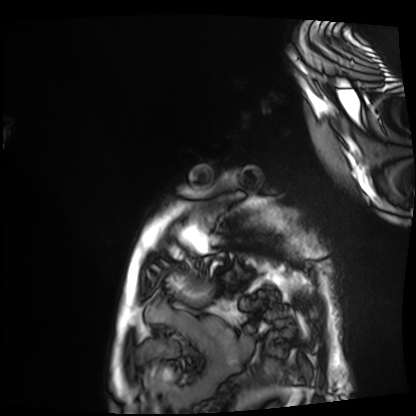
modality: cardiac MRI | subject group: patient.